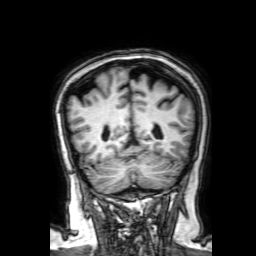
3 Tesla brain MRI. Series: 3D T1-weighted with SENSE. Study: ring-enhancing brain masses.